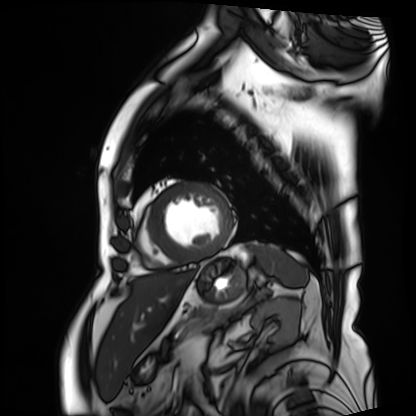
- modality · cardiac MRI
- subject group · patient